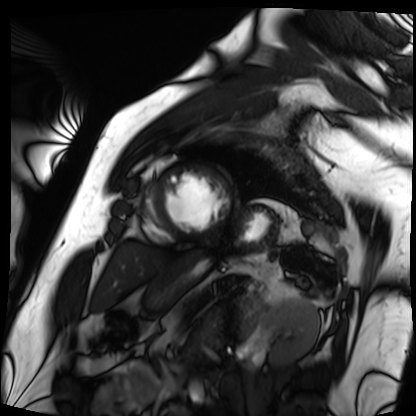
<record>
  <modality>cardiac MRI</modality>
  <cohort>patient</cohort>
</record>